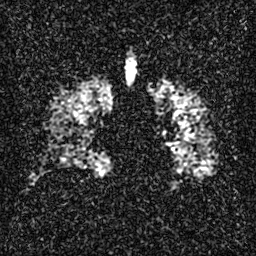
Hyperpolarized 129Xe ventilation MRI of the lungs. SNR level 3 of 8 (the deposit holds this scan as its native image and as seven SNR-degraded versions).